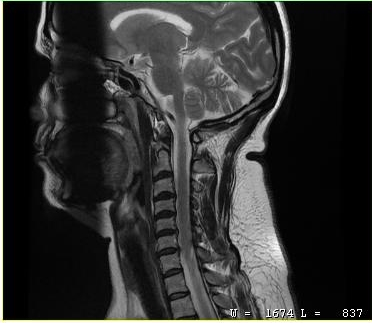
MRI of the cervical spine. Study: cervical spondylosis.